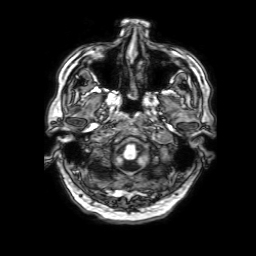
| field | value |
|---|---|
| modality | 3 Tesla brain MRI |
| series | 3D T1-weighted with SENSE |
| study | ring-enhancing brain masses |